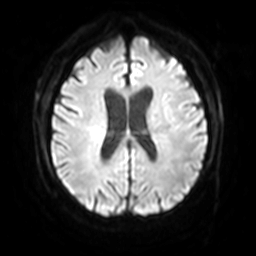
3 Tesla brain MRI.
Series: diffusion-weighted imaging with SENSE (WIP).
Study: ring-enhancing brain masses.